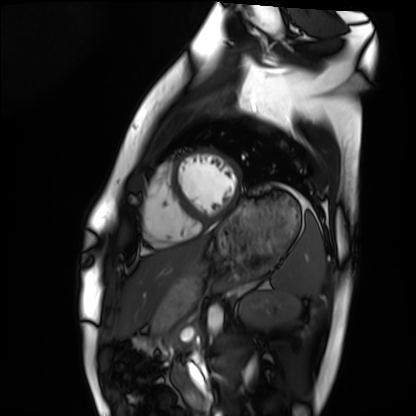
Summary:
Cardiac MRI. Subject group: healthy volunteer.